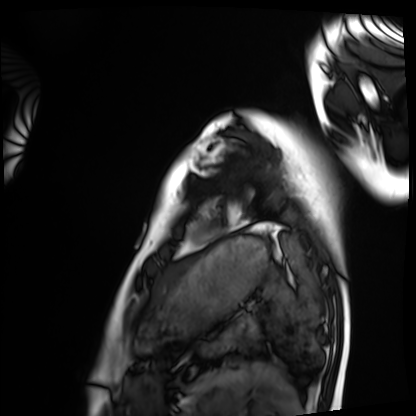
Cardiac MRI. Subject group: healthy volunteer.